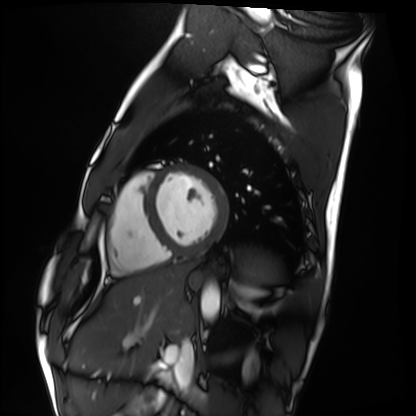
Cardiac MRI.
Subject group: healthy volunteer.